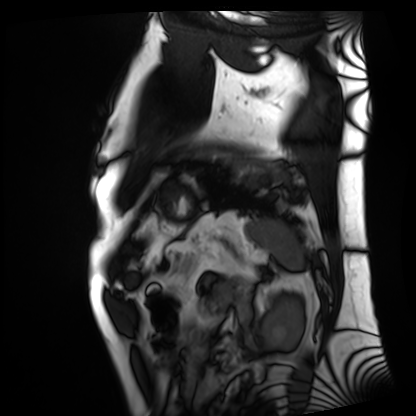
{"modality": "cardiac MRI", "cohort": "patient"}